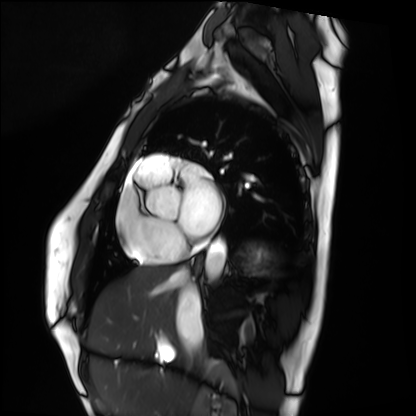
<record>
<modality>cardiac MRI</modality>
<cohort>healthy volunteer</cohort>
</record>